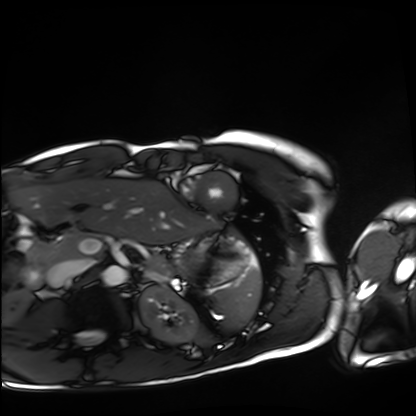
modality = cardiac MRI
subject group = healthy volunteer